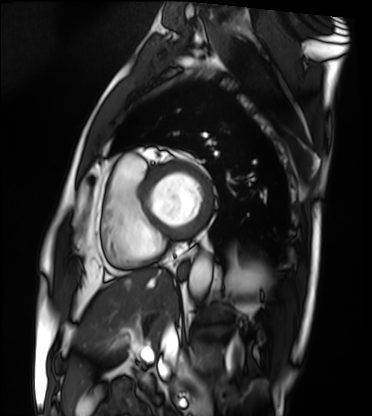
Cardiac MRI.
Subject group: patient.